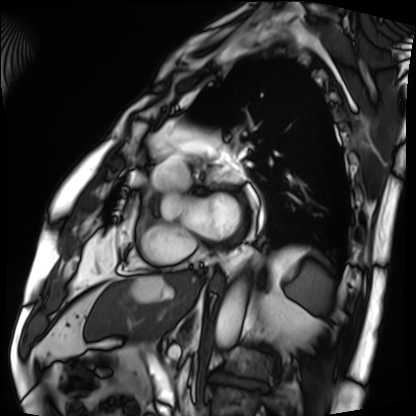
Cardiac MRI.
Subject group: patient.